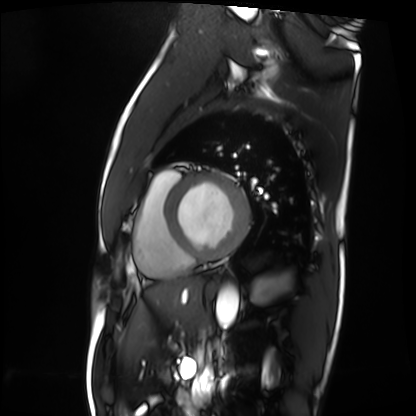
Clinical context:
Cardiac MRI. Subject group: patient.